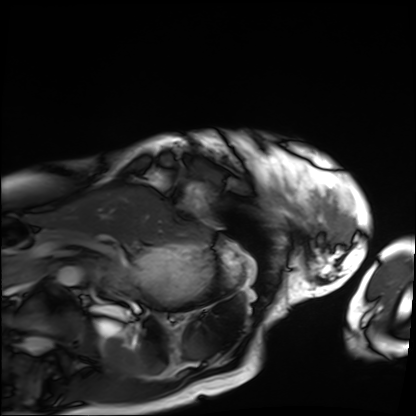
– modality: cardiac MRI
– subject group: patient